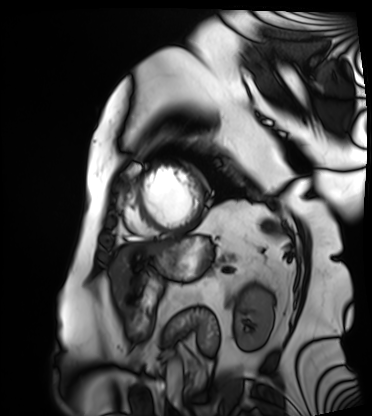
  modality: cardiac MRI
  cohort: patient